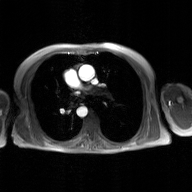
2D phase-contrast cine MRI of the ascending aorta, GAN super-resolution reconstruction.